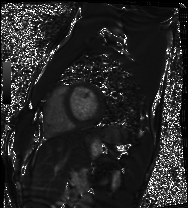
| field | value |
|---|---|
| modality | cardiac MRI |
| subject group | healthy volunteer |